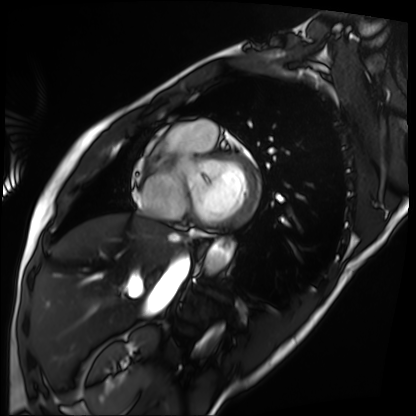
Summary: Cardiac MRI. Subject group: patient.